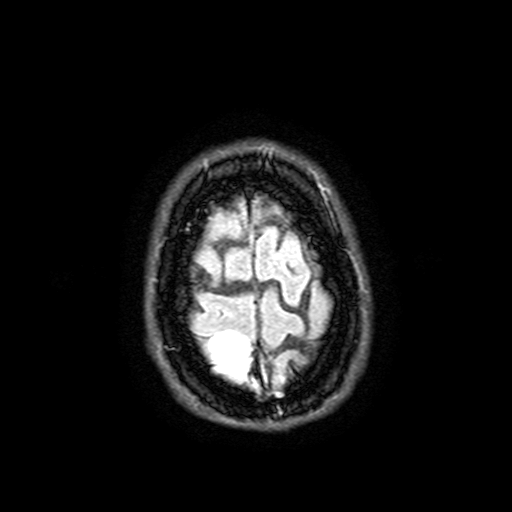
Q: What kind of scan is this?
A: 3 Tesla brain MRI.
Q: Series?
A: FLAIR with SPAIR, 3 mm.
Study: ring-enhancing brain masses.